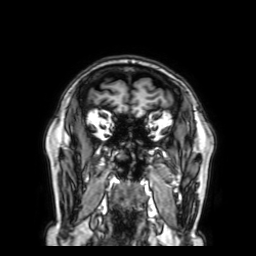
Case summary:
3 Tesla brain MRI. Series: 3D T1-weighted with SENSE. Study: ring-enhancing brain masses.